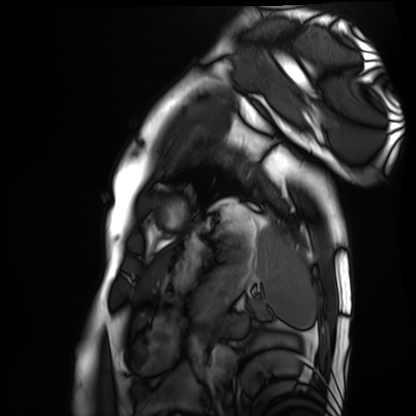
Cardiac MRI.
Subject group: healthy volunteer.